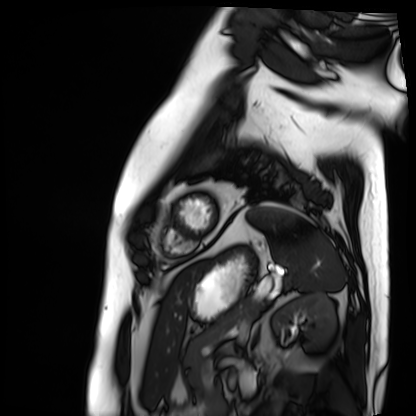
{"modality": "cardiac MRI", "cohort": "patient"}